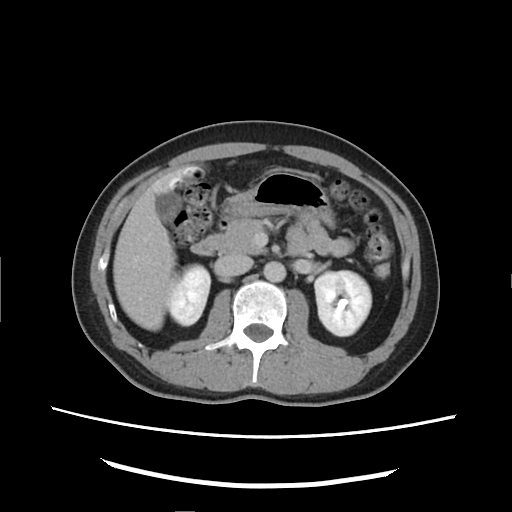
Multiphase abdominal CT, liver, delayed phase. Patient: male, age 40.